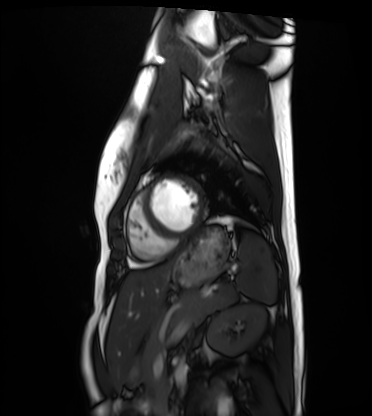
Case:
- modality · cardiac MRI
- subject group · healthy volunteer